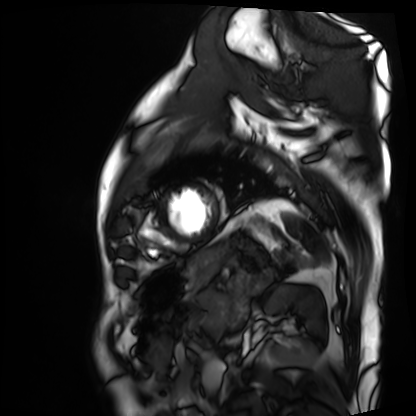
modality: cardiac MRI | subject group: patient.